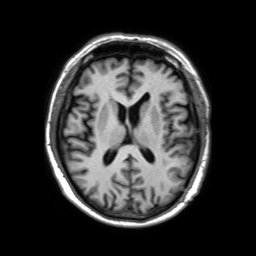
Case summary:
3 Tesla brain MRI. Series: 3D T1-weighted TFE with SENSE. Study: ring-enhancing brain masses.